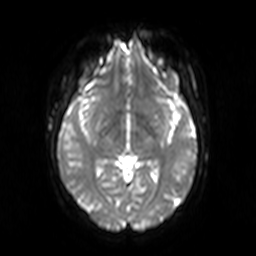
Clinical context: 3 Tesla brain MRI. Series: diffusion-weighted imaging. Study: ring-enhancing brain masses.